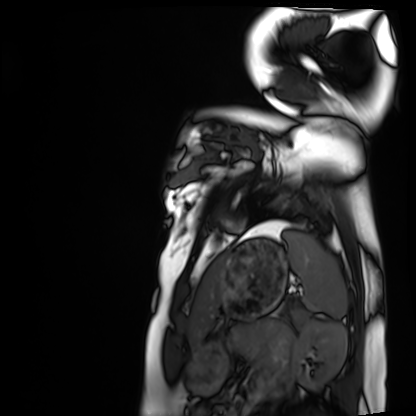
* modality: cardiac MRI
* subject group: healthy volunteer